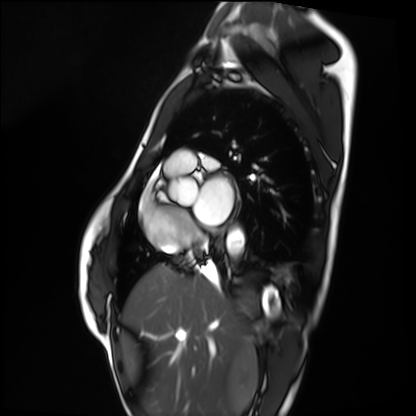
Cardiac MRI. Subject group: healthy volunteer.